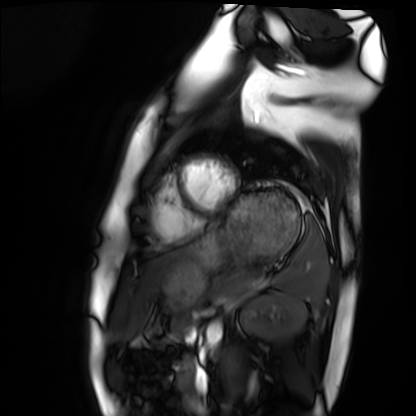
Cardiac MRI. Subject group: healthy volunteer.